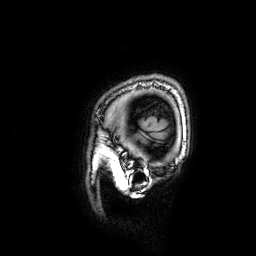
3 Tesla brain MRI.
Series: 3D T1-weighted.
Study: ring-enhancing brain masses.